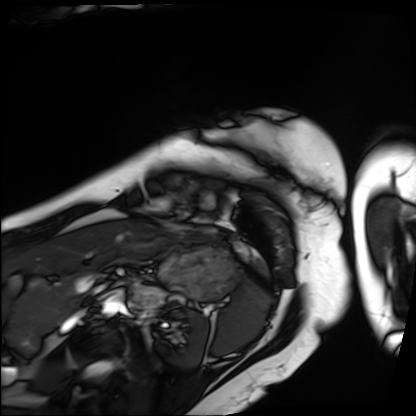
Case summary:
Cardiac MRI. Subject group: patient.